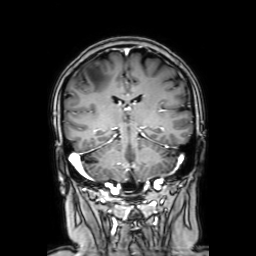
{
  "modality": {
    "type": "brain MRI",
    "field_strength": "3T"
  },
  "series": "coronal with contrast",
  "study_topic": "ring-enhancing brain masses"
}